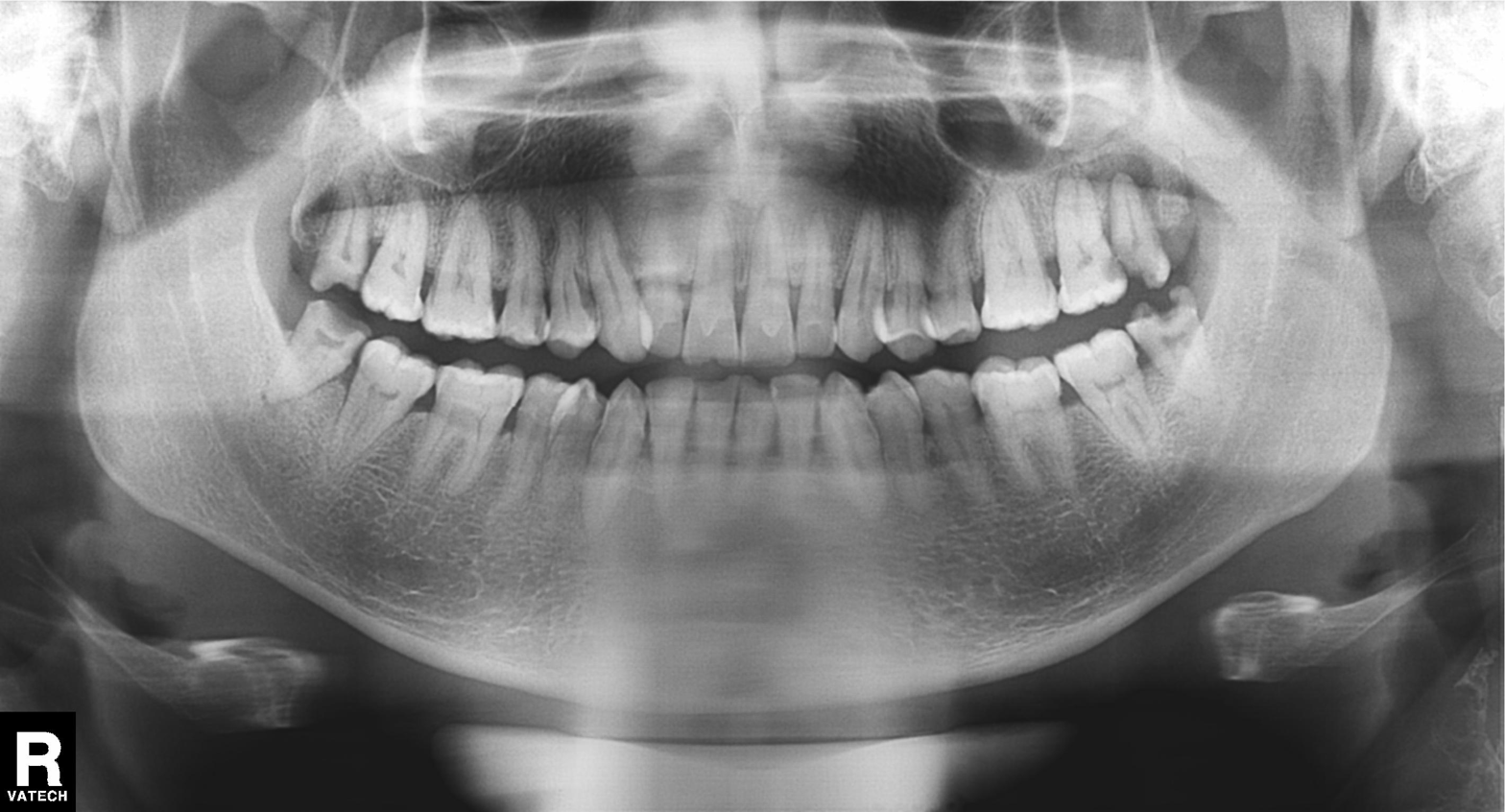
Panoramic dental radiograph (orthopantomogram). Finding: alveolar bone loss.